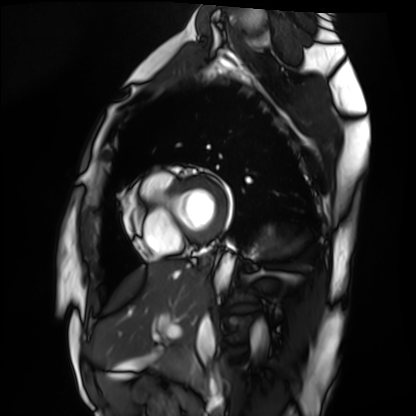
modality: cardiac MRI; subject group: healthy volunteer.